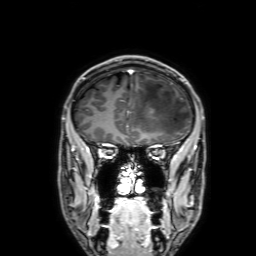
3 Tesla brain MRI. Series: 3D T1-weighted with SENSE. Study: ring-enhancing brain masses.